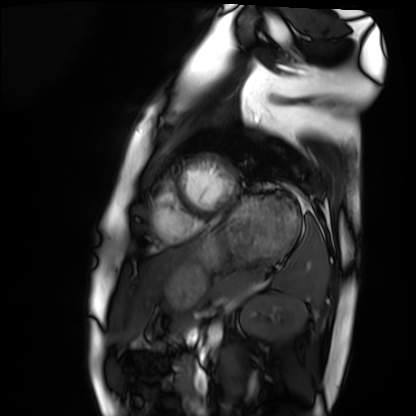
Case summary: Cardiac MRI. Subject group: healthy volunteer.